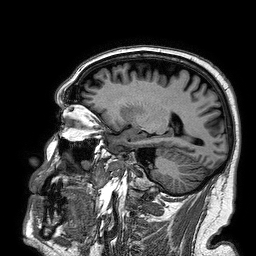
Case:
* modality · 3 Tesla brain MRI
* series · 3D T1-weighted turbo field echo
* study · ring-enhancing brain masses